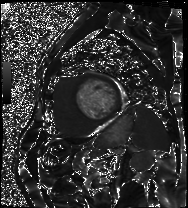
<record>
  <modality>cardiac MRI</modality>
  <cohort>patient</cohort>
</record>